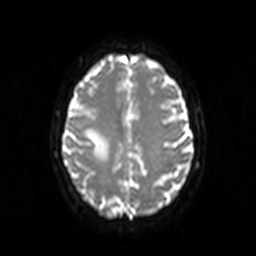
Q: What kind of scan is this?
A: 3 Tesla brain MRI.
Study: ring-enhancing brain masses.